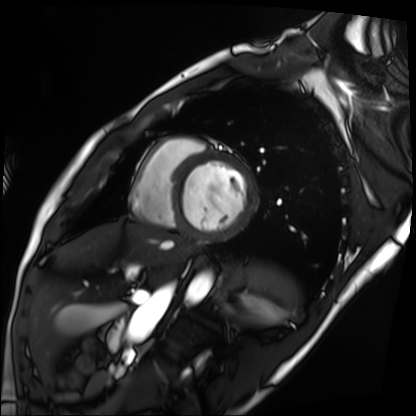
Summary: Cardiac MRI. Subject group: patient.